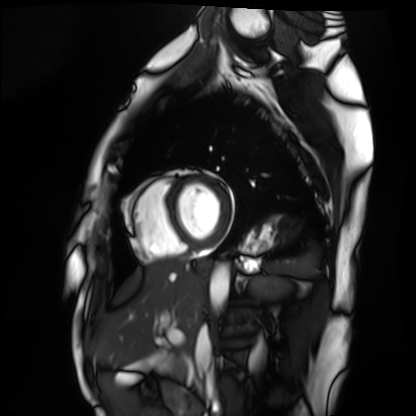
Cardiac MRI.
Subject group: healthy volunteer.